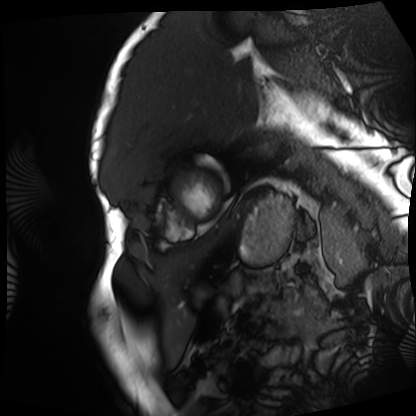
Q: What kind of scan is this?
A: Cardiac MRI.
Subject group: patient.